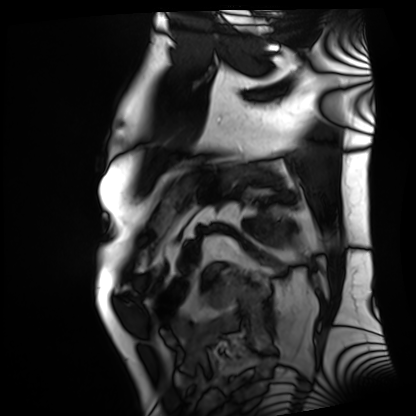
Summary: Cardiac MRI. Subject group: patient.